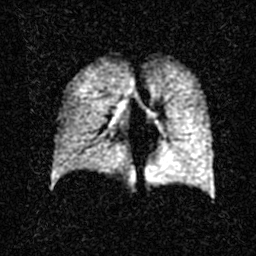
modality: hyperpolarized 129Xe ventilation MRI of the lungs.